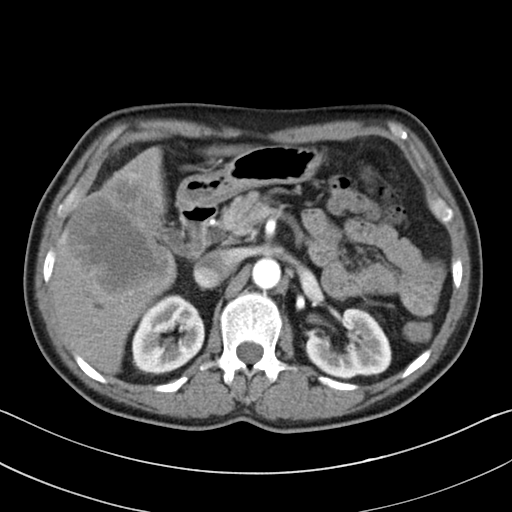
Q: What kind of scan is this?
A: Multiphase abdominal CT, liver, arterial phase.
Q: Patient?
A: Male, age 55.